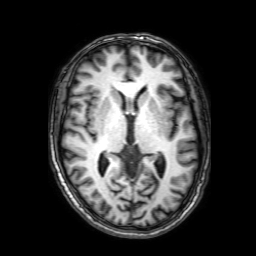
Summary: 3 Tesla brain MRI. Series: 3D T1-weighted with SENSE. Study: ring-enhancing brain masses.